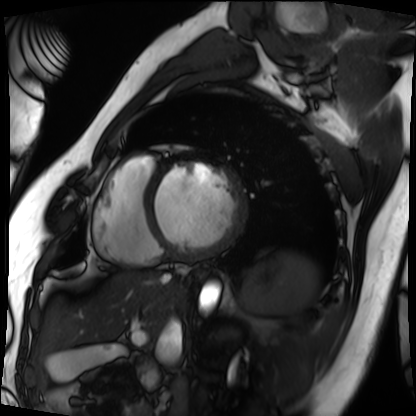
– modality: cardiac MRI
– subject group: patient